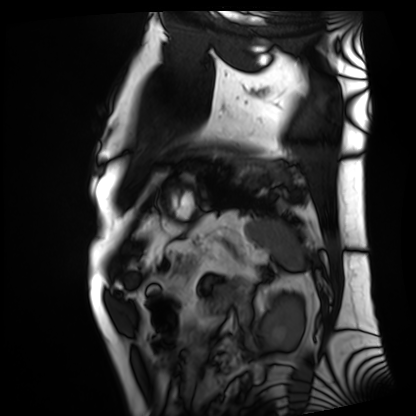
Cardiac MRI. Subject group: patient.